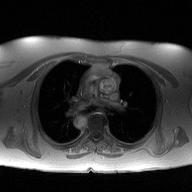
Case summary: 2D phase-contrast cine MRI of the ascending aorta, high-resolution GRAPPA acquisition.